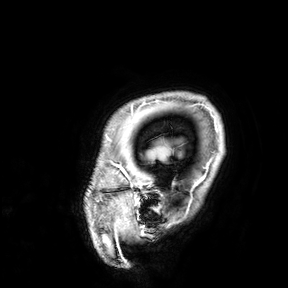
{"modality": {"type": "brain MRI", "field_strength": "3T"}, "study_topic": "ring-enhancing brain masses"}